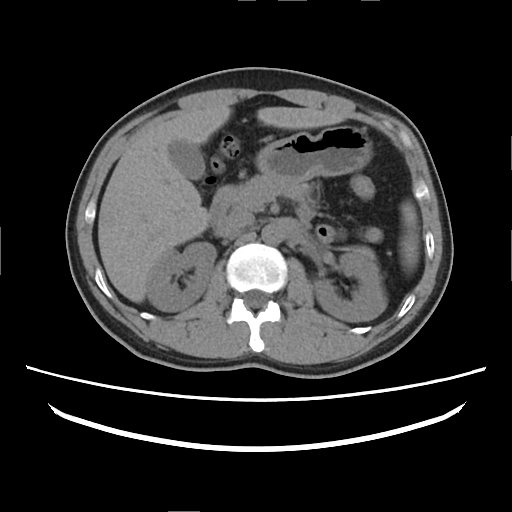
Q: What kind of scan is this?
A: Multiphase abdominal CT, liver, non-contrast phase.
Q: Patient?
A: Female, age 37.